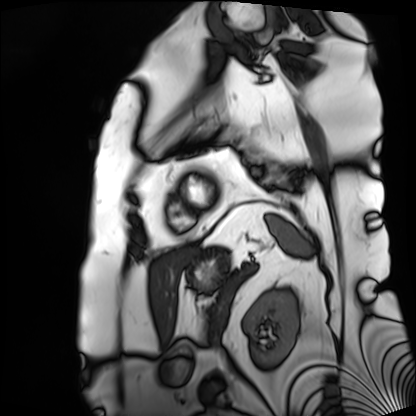
- modality — cardiac MRI
- subject group — patient